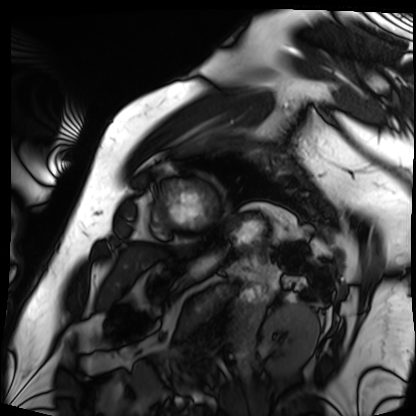
Summary: Cardiac MRI. Subject group: patient.